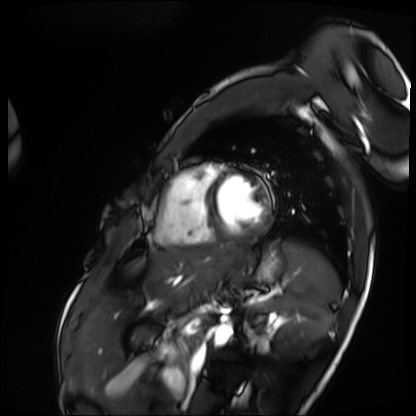
Summary:
Cardiac MRI. Subject group: patient.